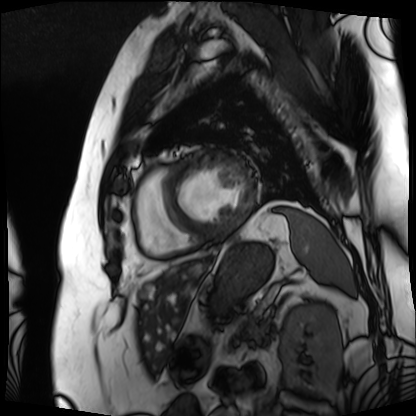
Summary:
Cardiac MRI. Subject group: patient.